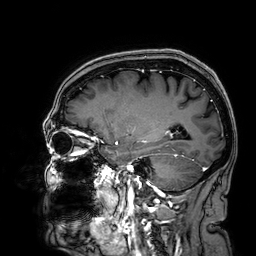
* modality · 3 Tesla brain MRI
* series · 3D T1-weighted
* study · ring-enhancing brain masses